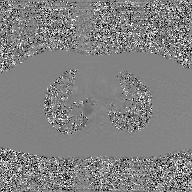
• modality · 2D phase-contrast cine MRI of the ascending aorta, GAN super-resolution reconstruction